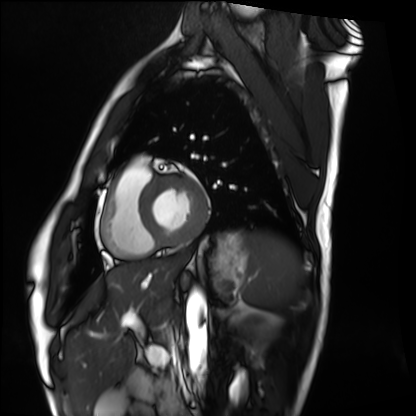
modality: cardiac MRI
cohort: healthy volunteer